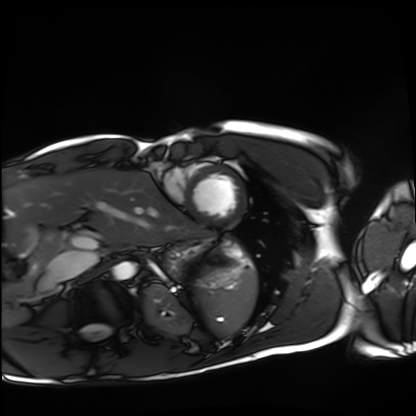
modality=cardiac MRI
subject group=healthy volunteer